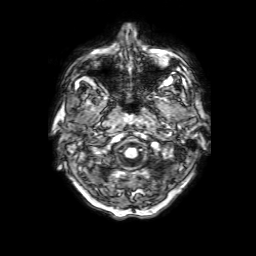
3 Tesla brain MRI. Series: 3D T1-weighted with SENSE. Study: ring-enhancing brain masses.